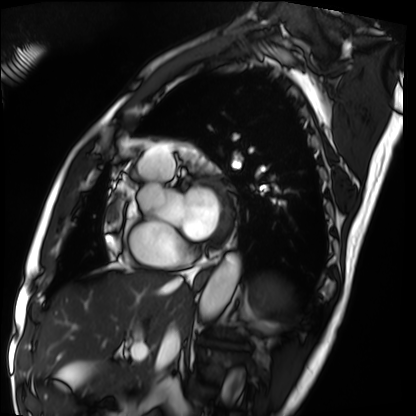
Case:
* modality · cardiac MRI
* subject group · patient